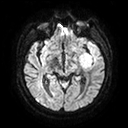
modality = 3 Tesla brain MRI | series = diffusion tensor imaging (medium iso) | study = ring-enhancing brain masses.